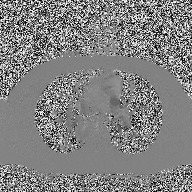
modality=2D phase-contrast cine MRI of the ascending aorta.